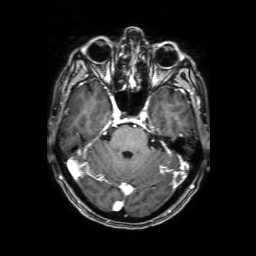
– modality · 3 Tesla brain MRI
– series · 3D T1-weighted with SENSE
– study · ring-enhancing brain masses